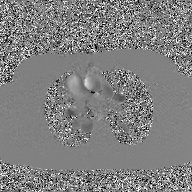
  modality:
    type: 2D phase-contrast cine MRI
    region: ascending aorta
    reconstruction: GAN super-resolution reconstruction